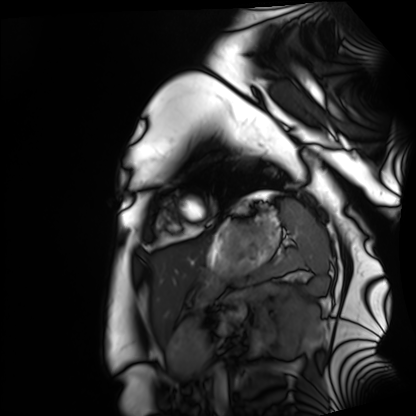
Summary: Cardiac MRI. Subject group: healthy volunteer.